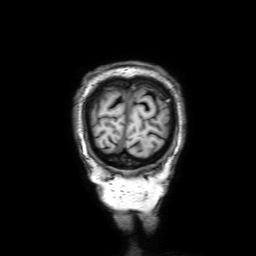
| field | value |
|---|---|
| modality | 3 Tesla brain MRI |
| study | ring-enhancing brain masses |